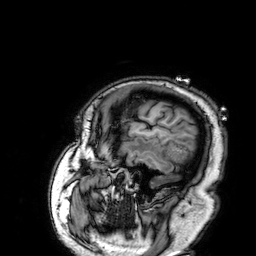
modality:
  type: brain MRI
  field_strength: 3T
series: 3D T1-weighted
study_topic: ring-enhancing brain masses